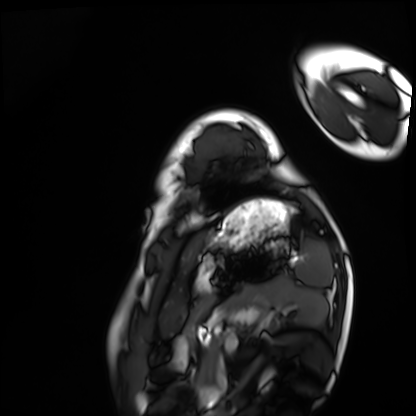
Case:
– modality: cardiac MRI
– subject group: healthy volunteer